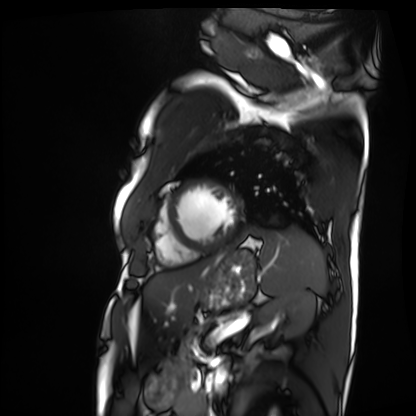
Cardiac MRI. Subject group: patient.